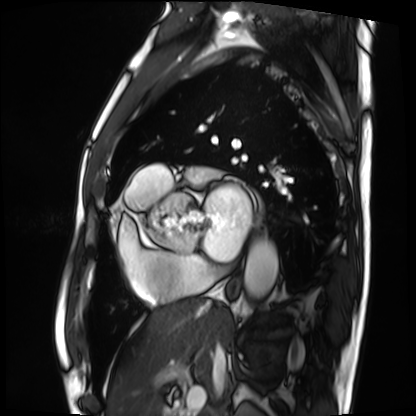
Cardiac MRI. Subject group: patient.